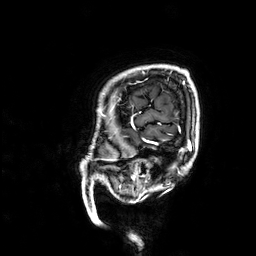
{"modality": {"type": "brain MRI", "field_strength": "3T"}, "series": "3D T1-weighted", "study_topic": "ring-enhancing brain masses"}